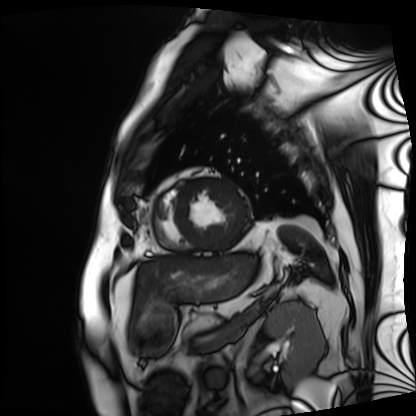
Cardiac MRI.
Subject group: patient.